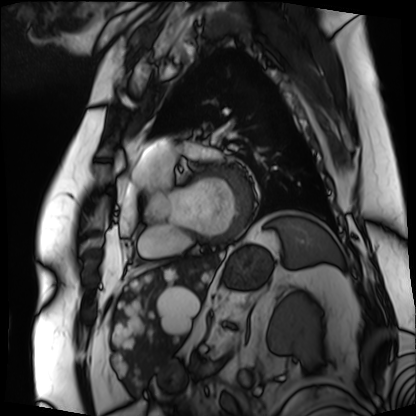
Clinical context: Cardiac MRI. Subject group: patient.